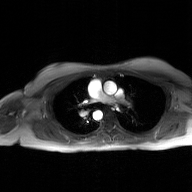
2D phase-contrast cine MRI of the ascending aorta, GAN super-resolution reconstruction.